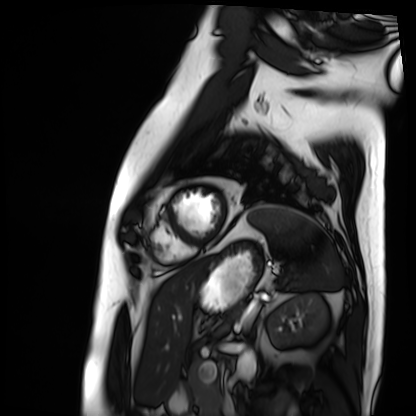
modality: cardiac MRI | subject group: patient.